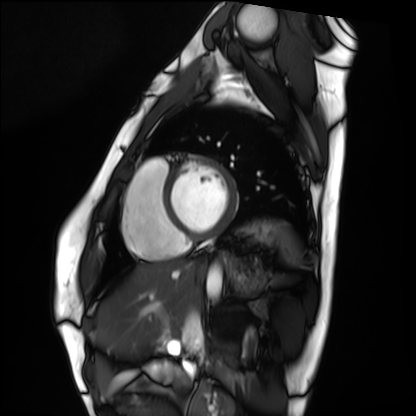
Cardiac MRI. Subject group: healthy volunteer.